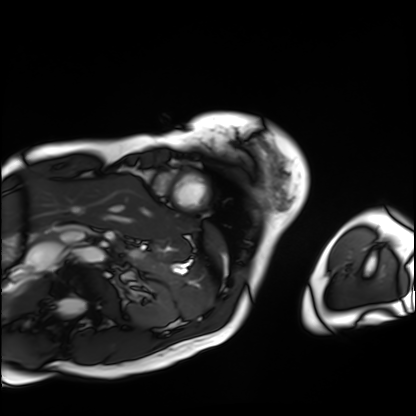
modality = cardiac MRI | subject group = patient.